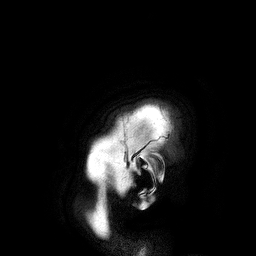
<scan>
<modality>
  <type>brain MRI</type>
  <field_strength>3T</field_strength>
</modality>
<series>3D T1-weighted turbo field echo</series>
<study_topic>ring-enhancing brain masses</study_topic>
</scan>